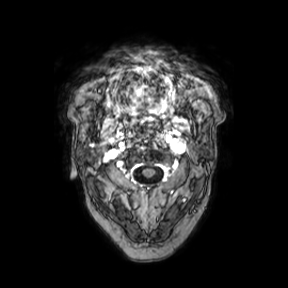
<record>
<modality>
  <type>brain MRI</type>
  <field_strength>3T</field_strength>
</modality>
<series>axial</series>
<study_topic>ring-enhancing brain masses</study_topic>
</record>